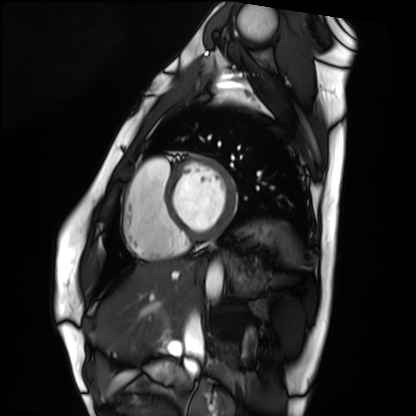
Summary: Cardiac MRI. Subject group: healthy volunteer.